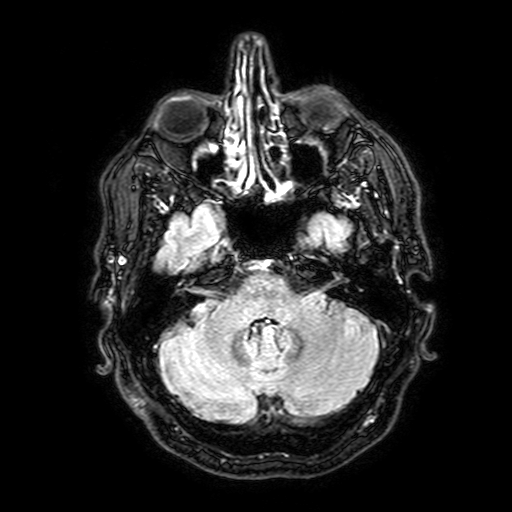
3 Tesla brain MRI. Series: FLAIR with SPAIR, 3 mm. Study: ring-enhancing brain masses.